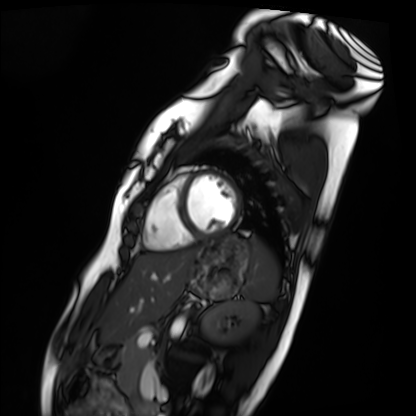
Cardiac MRI. Subject group: healthy volunteer.